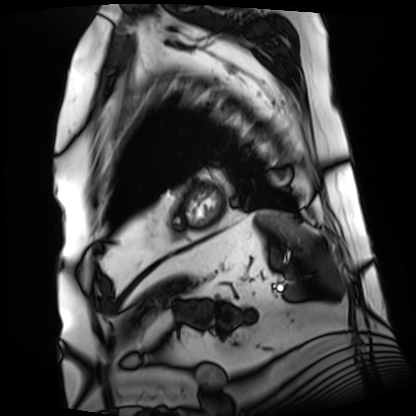
<scan>
<modality>cardiac MRI</modality>
<cohort>patient</cohort>
</scan>